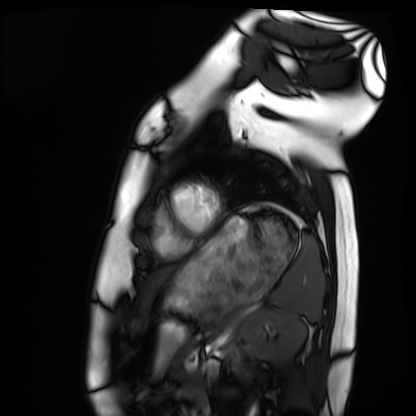
Cardiac MRI. Subject group: healthy volunteer.